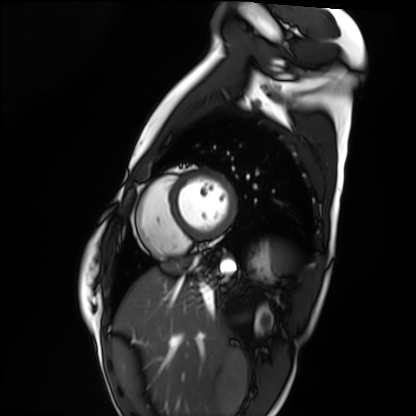
• modality — cardiac MRI
• subject group — healthy volunteer